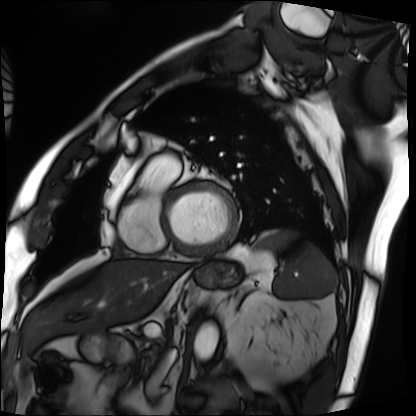
Summary: Cardiac MRI. Subject group: patient.